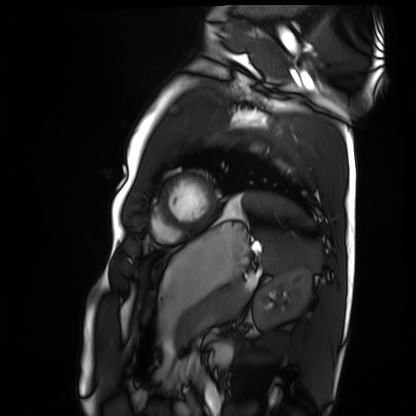
| field | value |
|---|---|
| modality | cardiac MRI |
| subject group | healthy volunteer |